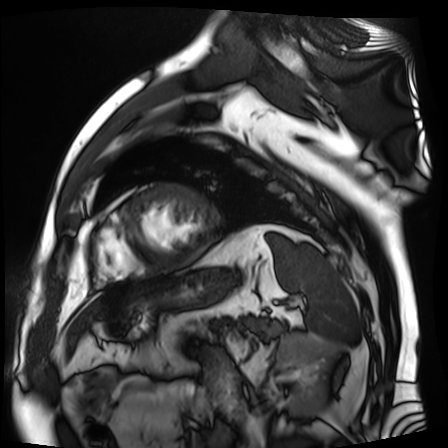
Case:
* modality: cardiac MR image of the myocardium
* subject cohort: cardiac patient